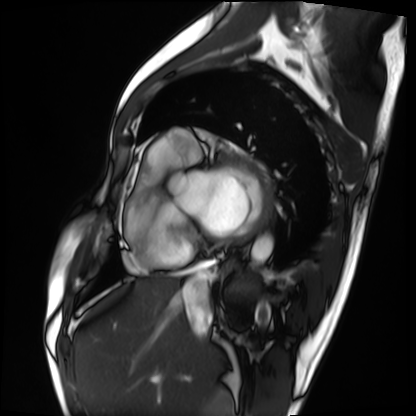
• modality — cardiac MRI
• subject group — patient